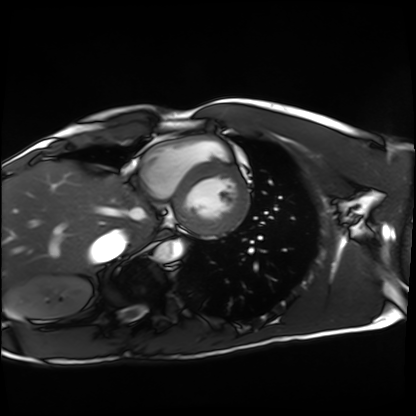
Cardiac MRI. Subject group: healthy volunteer.